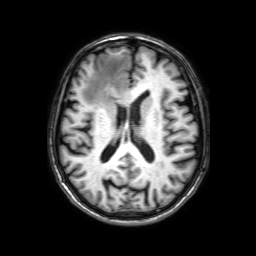
3 Tesla brain MRI.
Series: 3D T1-weighted with SENSE.
Study: ring-enhancing brain masses.